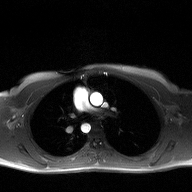
Case summary:
2D phase-contrast cine MRI of the ascending aorta, high-resolution GRAPPA acquisition.